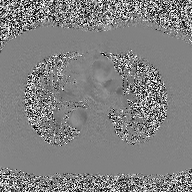
2D phase-contrast cine MRI of the ascending aorta, high-resolution GRAPPA acquisition.